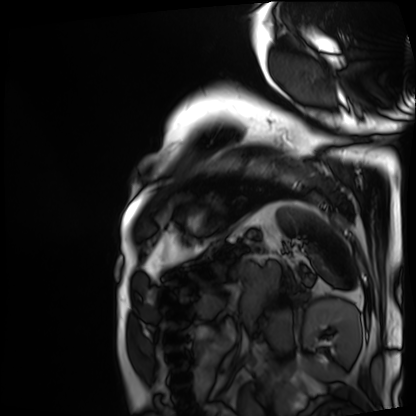
Clinical context: Cardiac MRI. Subject group: patient.